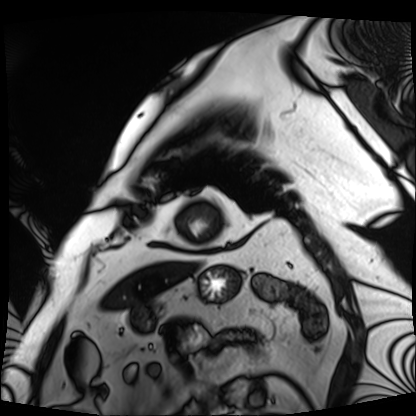
| field | value |
|---|---|
| modality | cardiac MRI |
| subject group | patient |